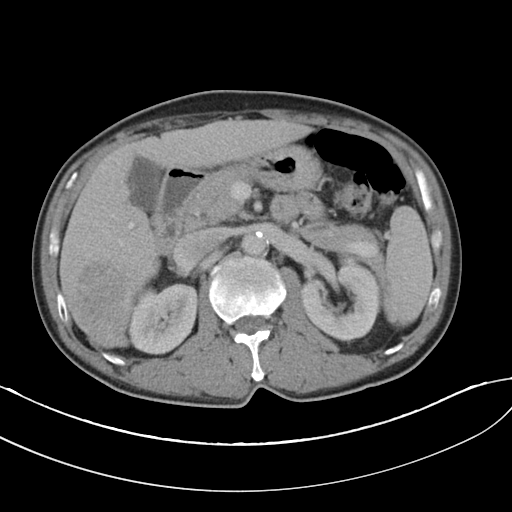
modality: multiphase abdominal CT, liver, portal venous phase; patient: male, age 52.